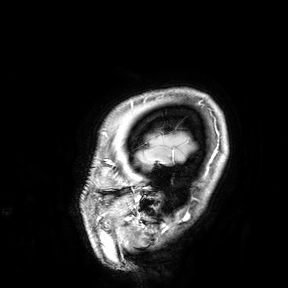
Q: What kind of scan is this?
A: 3 Tesla brain MRI.
Study: ring-enhancing brain masses.